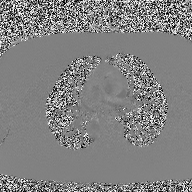
Summary:
2D phase-contrast cine MRI of the ascending aorta, high-resolution GRAPPA acquisition.